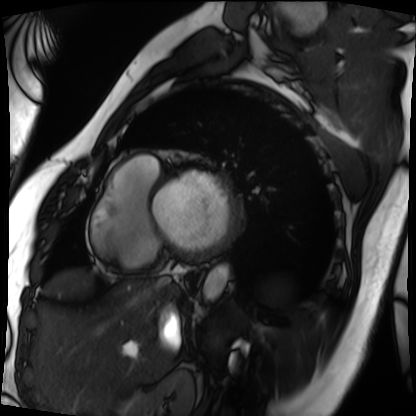
modality: cardiac MRI, subject group: patient.